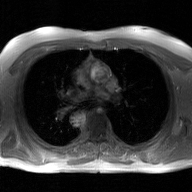
{
  "modality": {
    "type": "2D phase-contrast cine MRI",
    "region": "ascending aorta",
    "reconstruction": "GAN super-resolution reconstruction"
  }
}